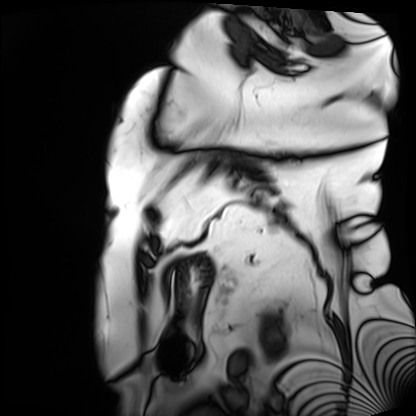
modality: cardiac MRI
cohort: patient